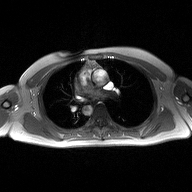
Case summary:
2D phase-contrast cine MRI of the ascending aorta, high-resolution GRAPPA acquisition.